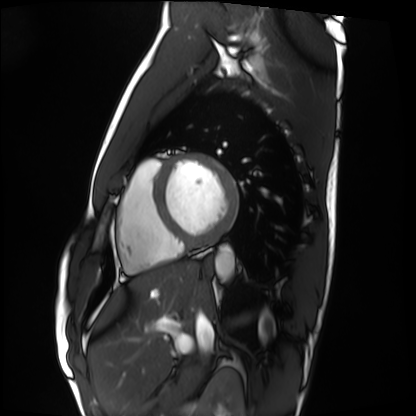
- modality · cardiac MRI
- subject group · healthy volunteer